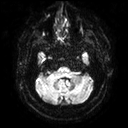
modality=3 Tesla brain MRI; series=diffusion tensor imaging (medium iso); study=ring-enhancing brain masses.